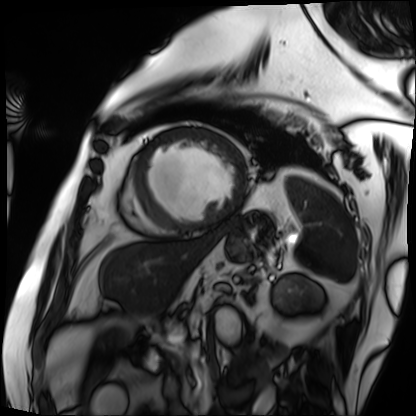
Cardiac MRI. Subject group: patient.